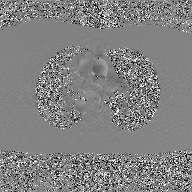
– modality: 2D phase-contrast cine MRI of the ascending aorta, GAN super-resolution reconstruction